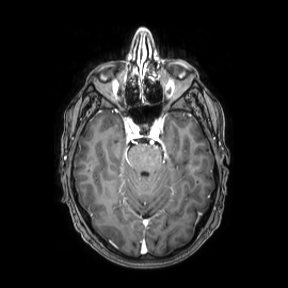
* modality: 3 Tesla brain MRI
* series: axial
* study: ring-enhancing brain masses